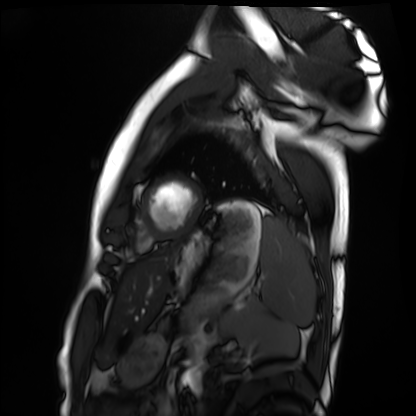
- modality · cardiac MRI
- subject group · healthy volunteer